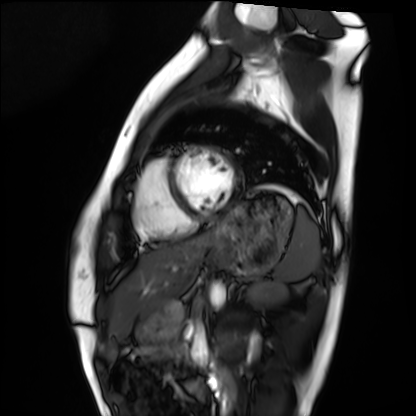
{"modality": "cardiac MRI", "cohort": "healthy volunteer"}